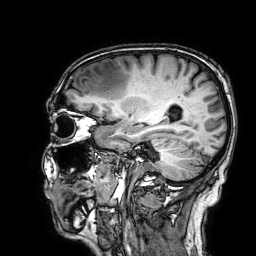
3 Tesla brain MRI.
Series: 3D T1-weighted.
Study: ring-enhancing brain masses.